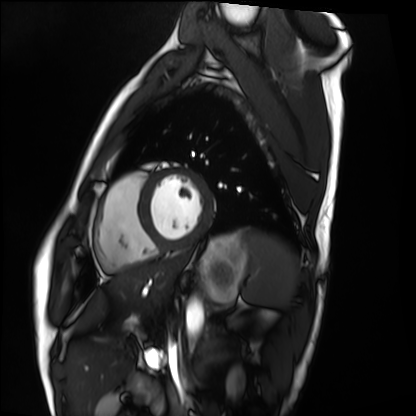
Clinical context:
Cardiac MRI. Subject group: healthy volunteer.